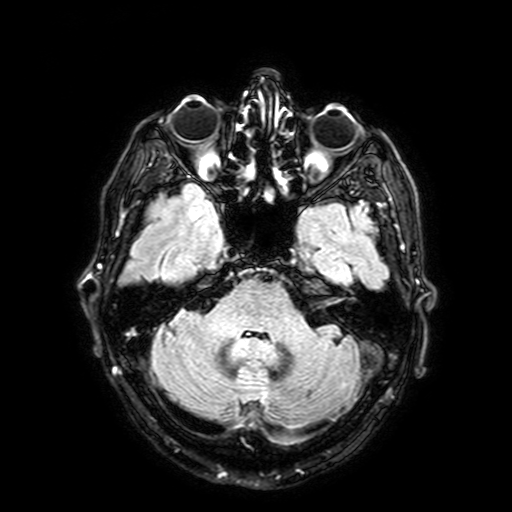
3 Tesla brain MRI. Series: FLAIR with SPAIR, 3 mm. Study: ring-enhancing brain masses.